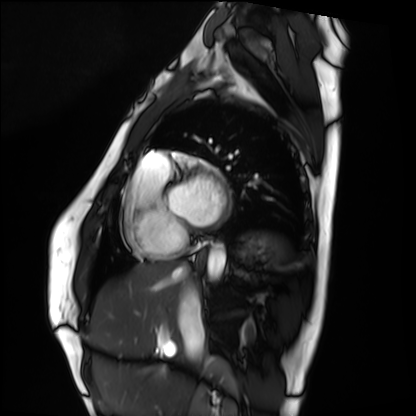
  modality: cardiac MRI
  cohort: healthy volunteer